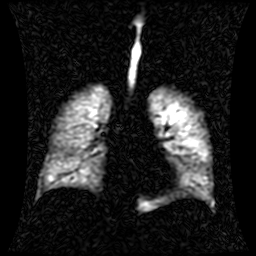
Q: What kind of scan is this?
A: Hyperpolarized 129Xe ventilation MRI of the lungs.
Q: SNR level?
A: 1 of 8 (the deposit holds this scan as its native image and as seven SNR-degraded versions).